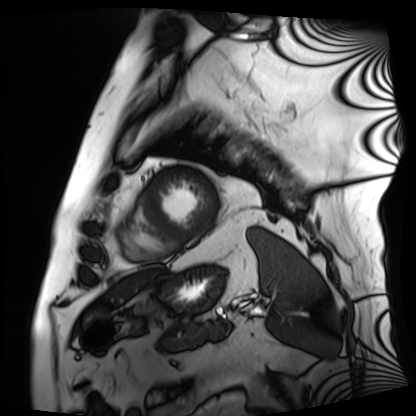
modality: cardiac MRI
cohort: patient